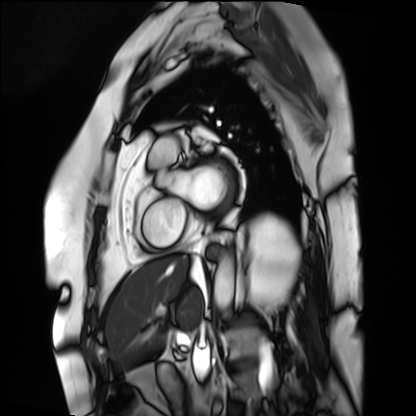
{"modality": "cardiac MRI", "cohort": "patient"}